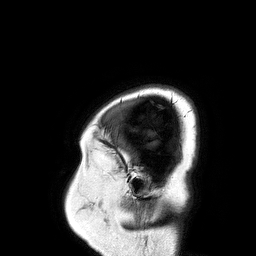
3 Tesla brain MRI. Series: 3D T1-weighted turbo field echo. Study: ring-enhancing brain masses.